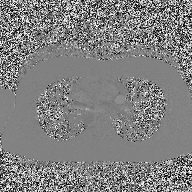
Q: What kind of scan is this?
A: 2D phase-contrast cine MRI of the ascending aorta.